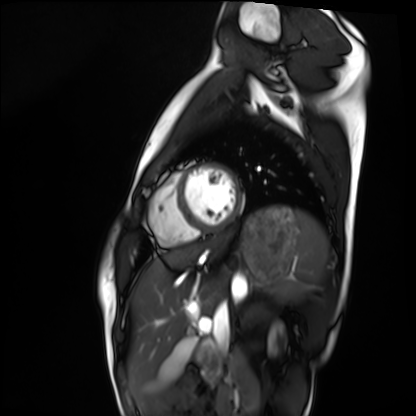
modality = cardiac MRI | subject group = healthy volunteer.